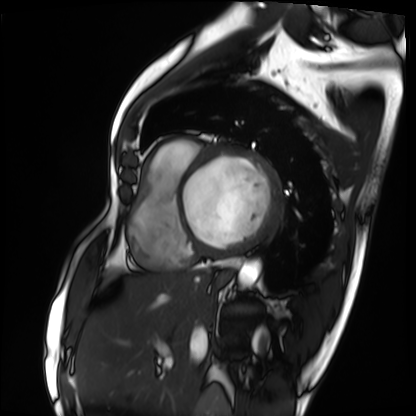
Case summary:
Cardiac MRI. Subject group: patient.